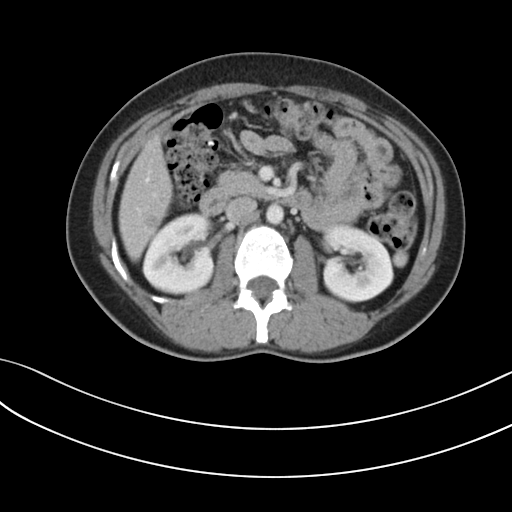
Summary: Multiphase abdominal CT, liver, portal venous phase. Patient: female, age 39.